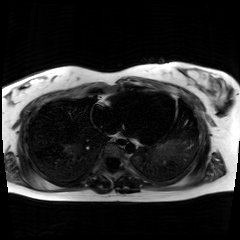
Chemical-shift-encoded cardiac MRI.